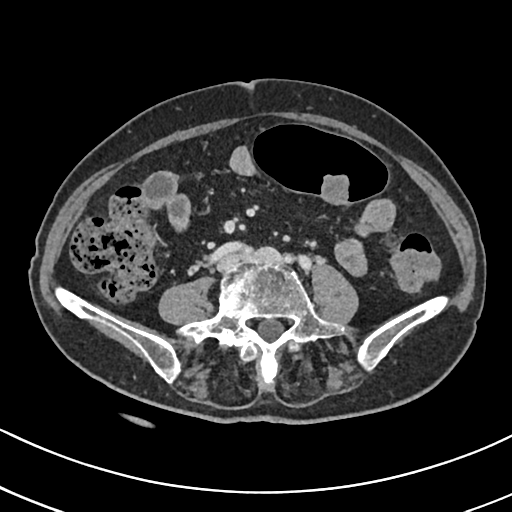
modality:
  type: multiphase abdominal CT
  region: liver
  phase: delayed
patient:
  sex: female
  age: 71
history:
  - prior chemotherapy